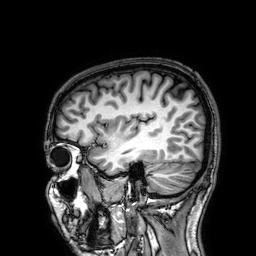
<record>
  <modality>
    <type>brain MRI</type>
    <field_strength>3T</field_strength>
  </modality>
  <series>3D T1-weighted</series>
  <study_topic>ring-enhancing brain masses</study_topic>
</record>